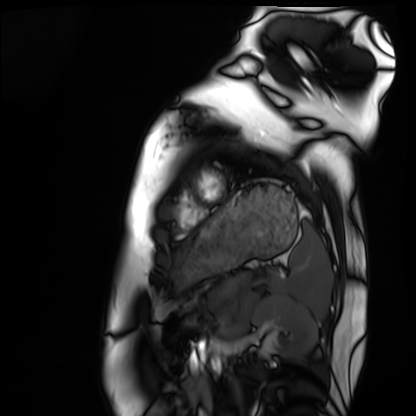
Cardiac MRI. Subject group: healthy volunteer.